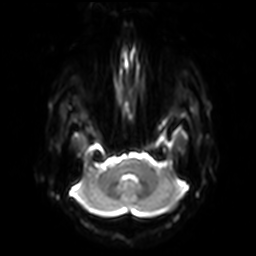
{
  "modality": {
    "type": "brain MRI",
    "field_strength": "3T"
  },
  "series": "diffusion-weighted imaging with SENSE (WIP)",
  "study_topic": "ring-enhancing brain masses"
}